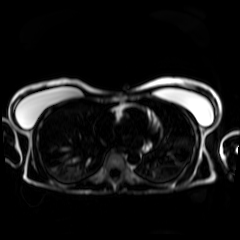
Chemical-shift-encoded cardiac MRI.